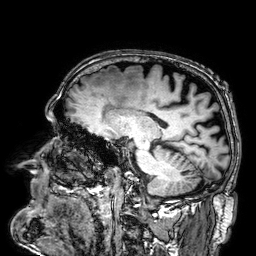
3 Tesla brain MRI. Series: 3D T1-weighted. Study: ring-enhancing brain masses.